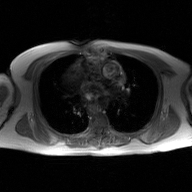
Case:
* modality · 2D phase-contrast cine MRI of the ascending aorta, GAN super-resolution reconstruction